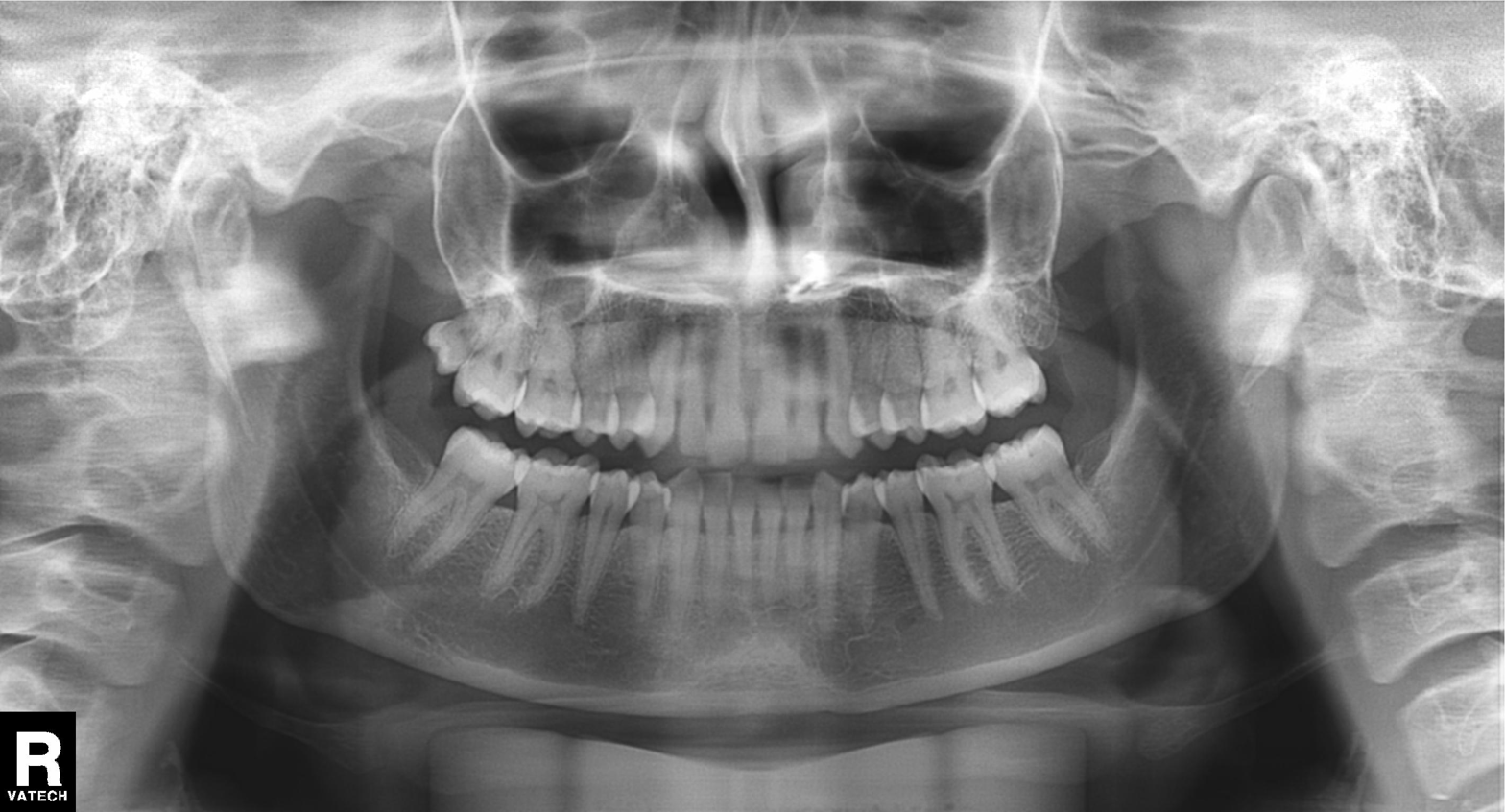
Panoramic dental radiograph (orthopantomogram). Finding: dental caries (cavities).